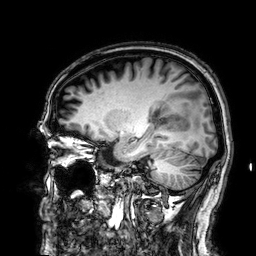
Summary: 3 Tesla brain MRI. Series: 3D T1-weighted. Study: ring-enhancing brain masses.